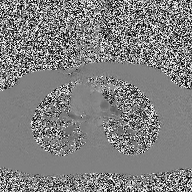
Q: What kind of scan is this?
A: 2D phase-contrast cine MRI of the ascending aorta.